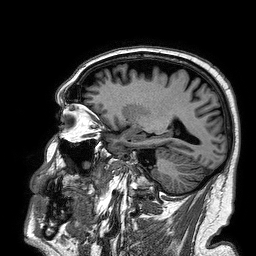
{"modality": {"type": "brain MRI", "field_strength": "3T"}, "series": "3D T1-weighted turbo field echo", "study_topic": "ring-enhancing brain masses"}